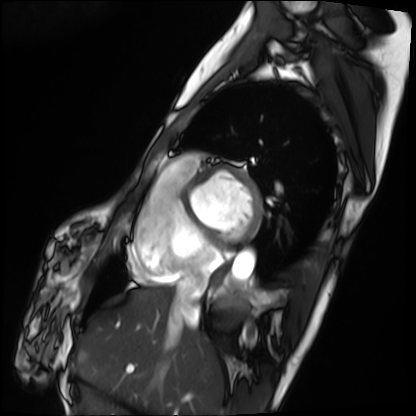
modality: cardiac MRI | subject group: patient.